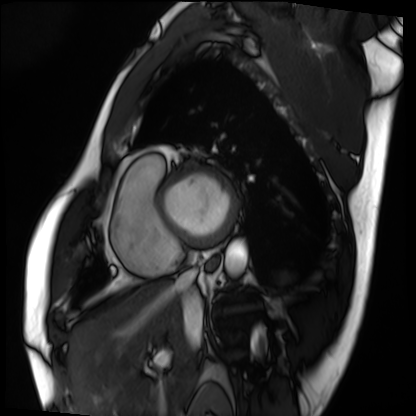
• modality — cardiac MRI
• subject group — patient